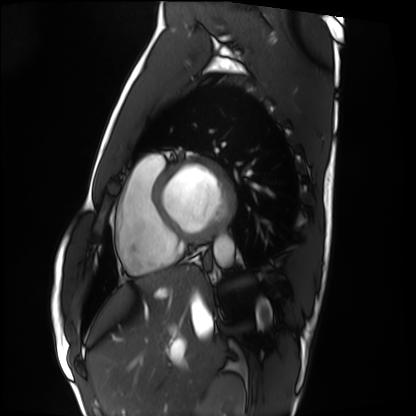
Q: What kind of scan is this?
A: Cardiac MRI.
Subject group: healthy volunteer.